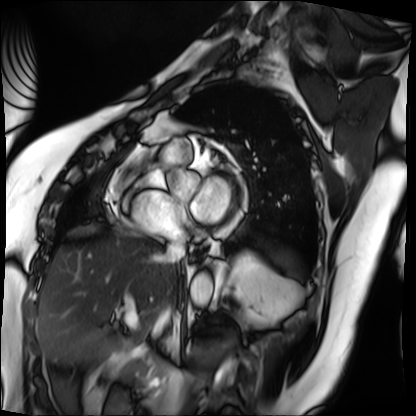
Cardiac MRI. Subject group: patient.